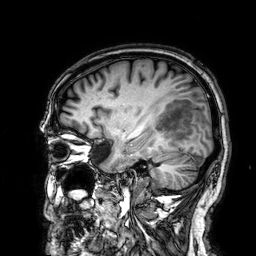
modality: 3 Tesla brain MRI; series: 3D T1-weighted; study: ring-enhancing brain masses.